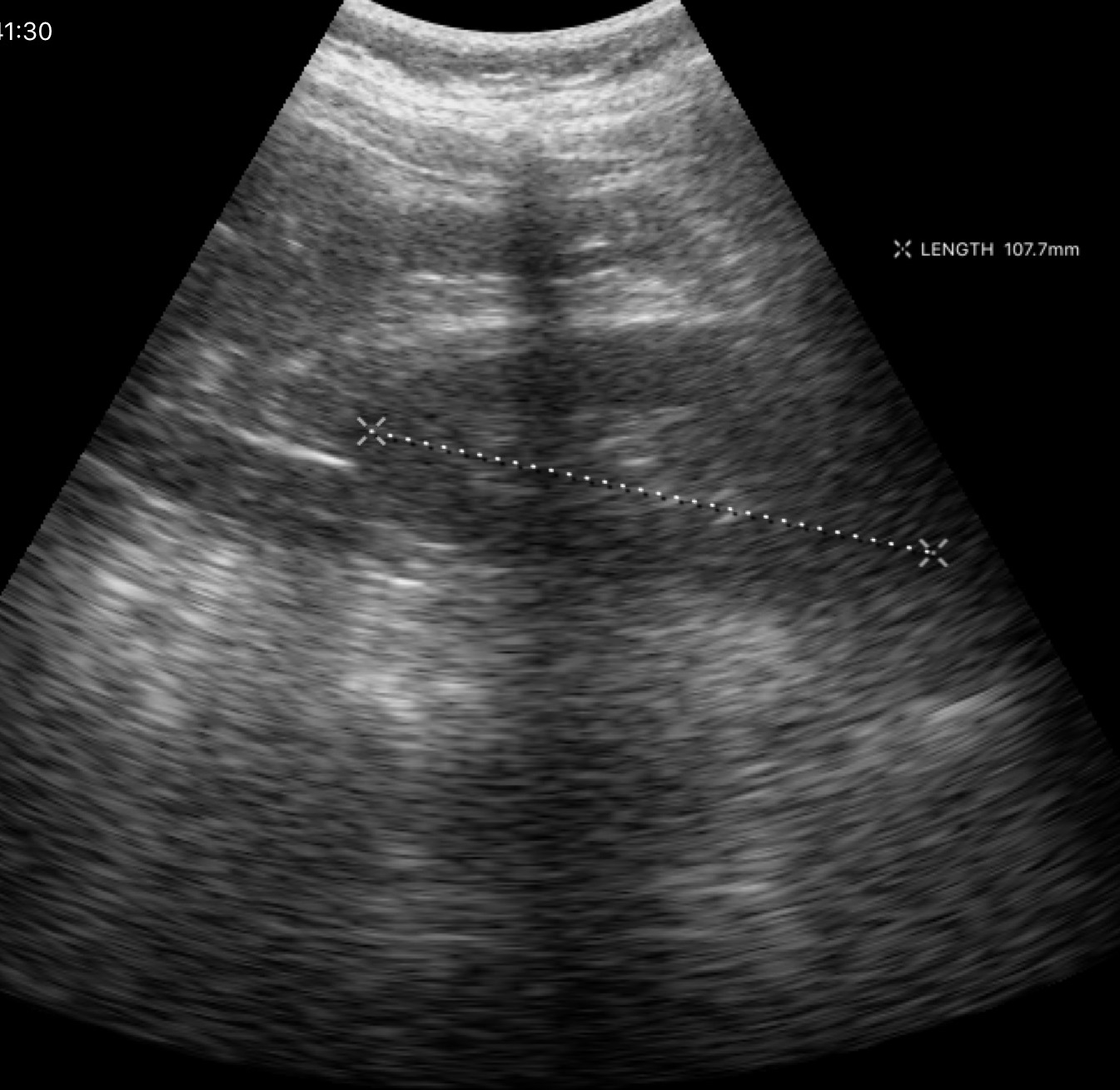
Genitourinary ultrasound.